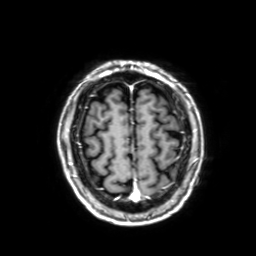
Case summary: 3 Tesla brain MRI. Series: 3D T1-weighted with SENSE. Study: ring-enhancing brain masses.